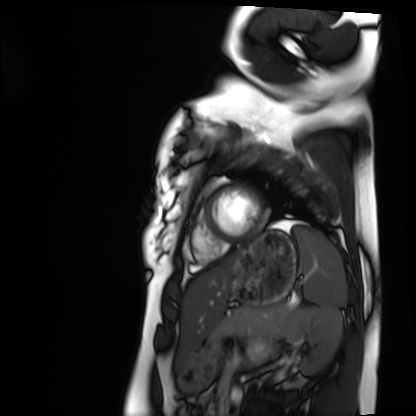
Cardiac MRI. Subject group: healthy volunteer.